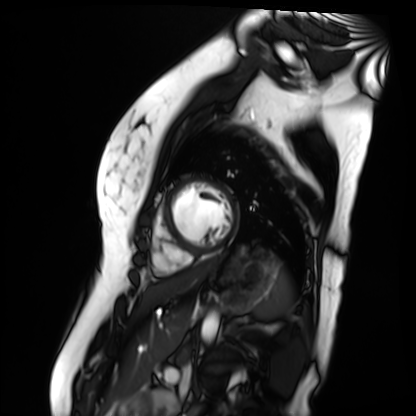
Summary: Cardiac MR image of the myocardium. Subject cohort: healthy volunteer.